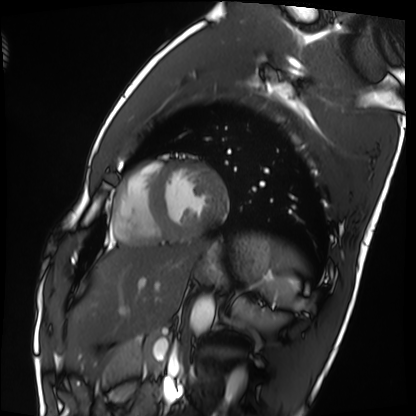
modality: cardiac MRI
cohort: healthy volunteer